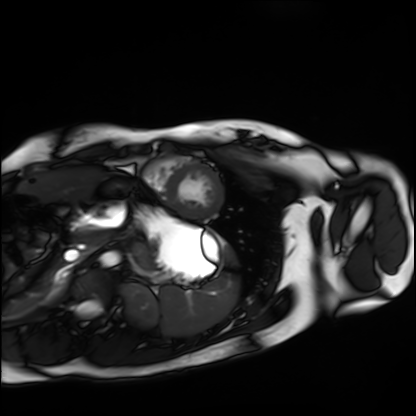
Summary: Cardiac MRI. Subject group: healthy volunteer.